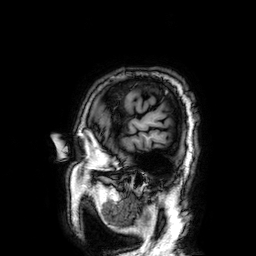
Case summary: 3 Tesla brain MRI. Study: ring-enhancing brain masses.